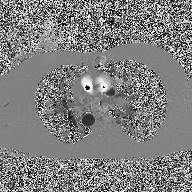
  modality:
    type: 2D phase-contrast cine MRI
    region: ascending aorta
    reconstruction: high-resolution GRAPPA acquisition